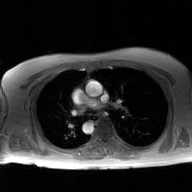
2D phase-contrast cine MRI of the ascending aorta, GAN super-resolution reconstruction.